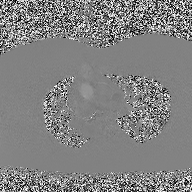
2D phase-contrast cine MRI of the ascending aorta, high-resolution GRAPPA acquisition.